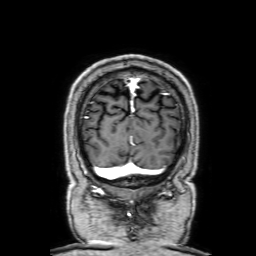
3 Tesla brain MRI. Series: 3D T1-weighted with SENSE. Study: ring-enhancing brain masses.